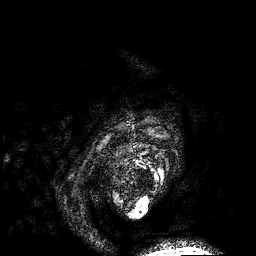
Summary:
3 Tesla brain MRI. Series: 3D T1-weighted. Study: ring-enhancing brain masses.